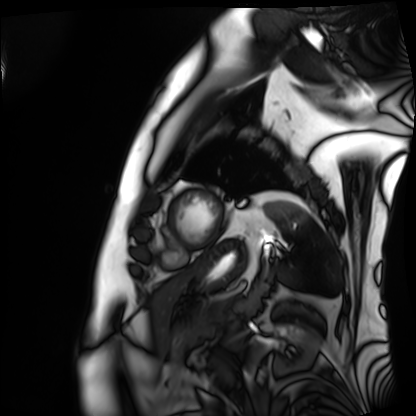
modality: cardiac MRI; subject group: patient.